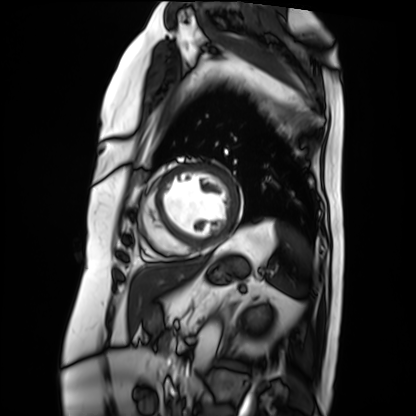
Cardiac MRI.
Subject group: patient.